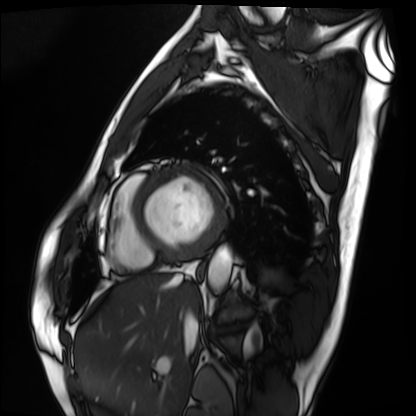
* modality: cardiac MRI
* subject group: patient